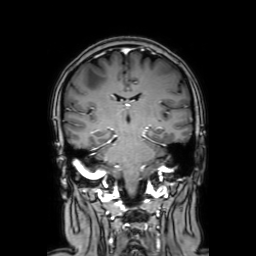
modality: 3 Tesla brain MRI | series: coronal with contrast | study: ring-enhancing brain masses.